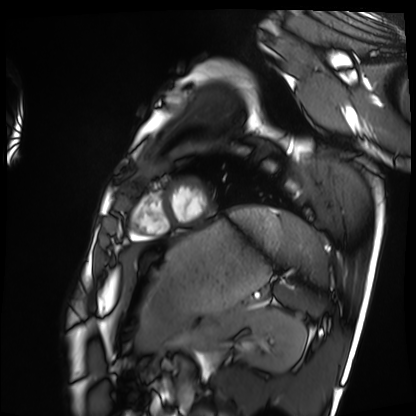
modality — cardiac MRI
subject group — healthy volunteer